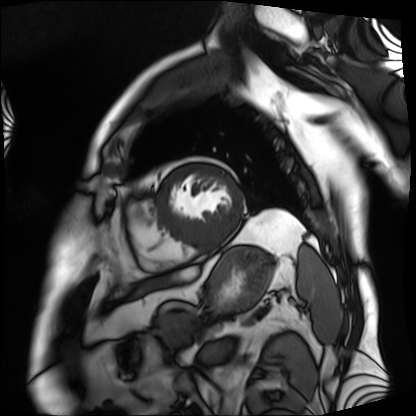
• modality: cardiac MRI
• subject group: patient